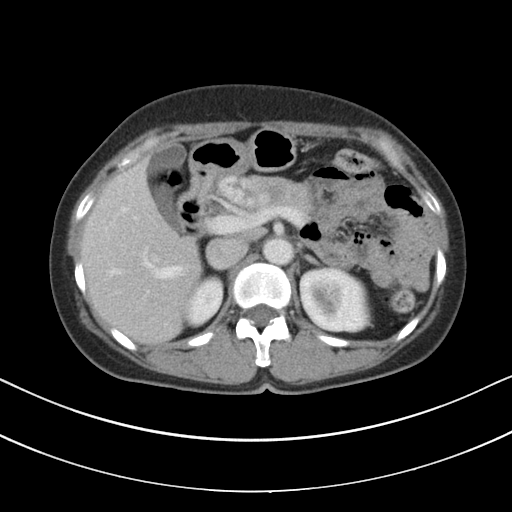
Case summary: Multiphase abdominal CT, liver, portal venous phase. Patient: female, age 61.